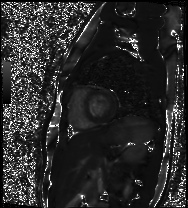
modality: cardiac MR image of the myocardium
cohort: healthy volunteer